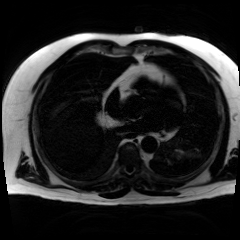
Chemical-shift-encoded cardiac MRI.